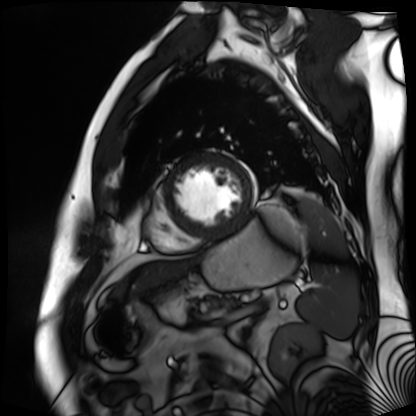
– modality: cardiac MR image of the myocardium
– subject cohort: cardiac patient